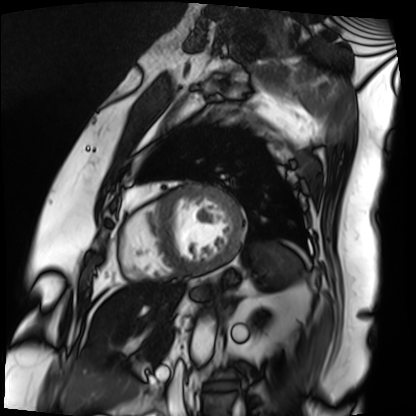
Q: What kind of scan is this?
A: Cardiac MRI.
Subject group: patient.